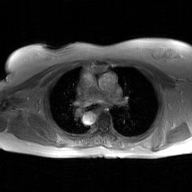
Q: What kind of scan is this?
A: 2D phase-contrast cine MRI of the ascending aorta, GAN super-resolution reconstruction.